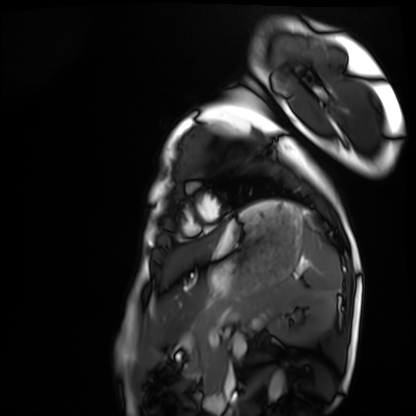
• modality · cardiac MRI
• subject group · healthy volunteer